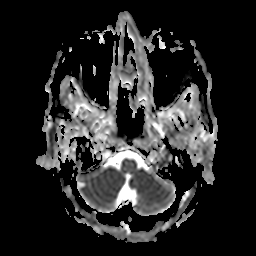
3 Tesla brain MRI.
Study: ring-enhancing brain masses.